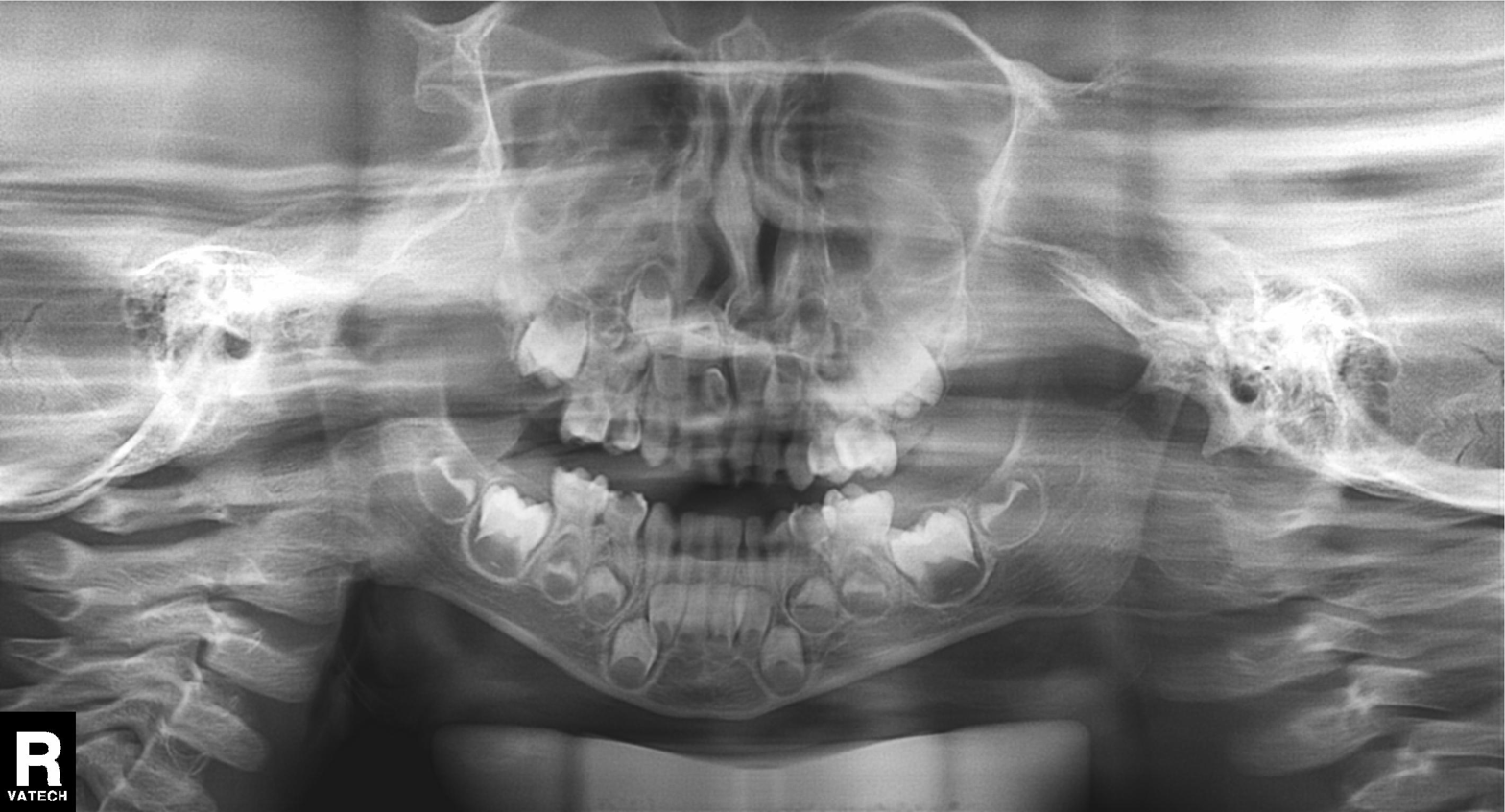
{
  "modality": "panoramic dental radiograph (orthopantomogram)",
  "finding": "alveolar bone loss"
}